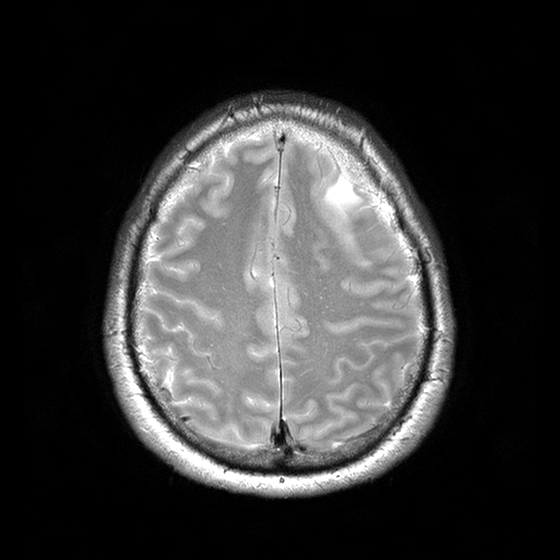
– modality · 3 Tesla brain MRI
– series · T2-weighted turbo spin echo with CLEAR
– study · ring-enhancing brain masses